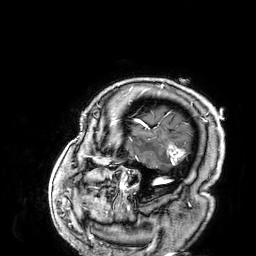
3 Tesla brain MRI. Series: 3D T1-weighted. Study: ring-enhancing brain masses.